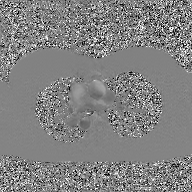
2D phase-contrast cine MRI of the ascending aorta, GAN super-resolution reconstruction.